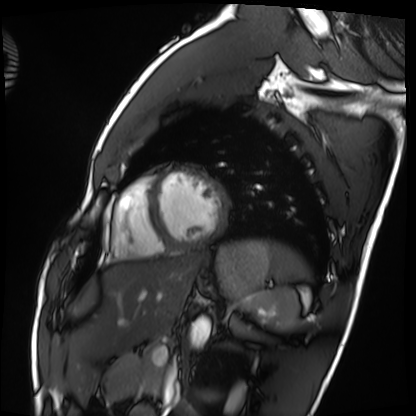
<study>
<modality>cardiac MRI</modality>
<cohort>healthy volunteer</cohort>
</study>